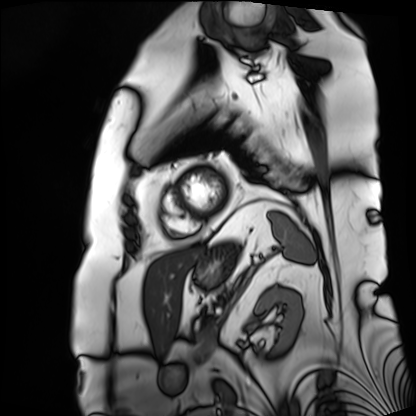
- modality — cardiac MRI
- subject group — patient